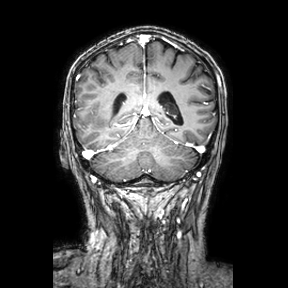
Case:
• modality — 3 Tesla brain MRI
• series — coronal
• study — ring-enhancing brain masses